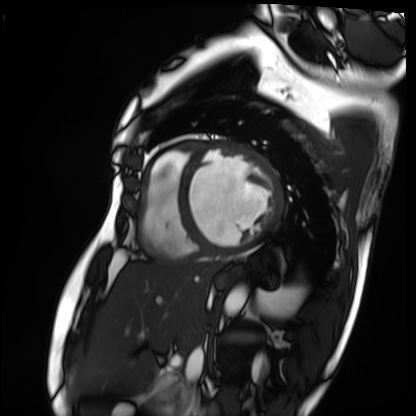
Summary: Cardiac MRI. Subject group: patient.